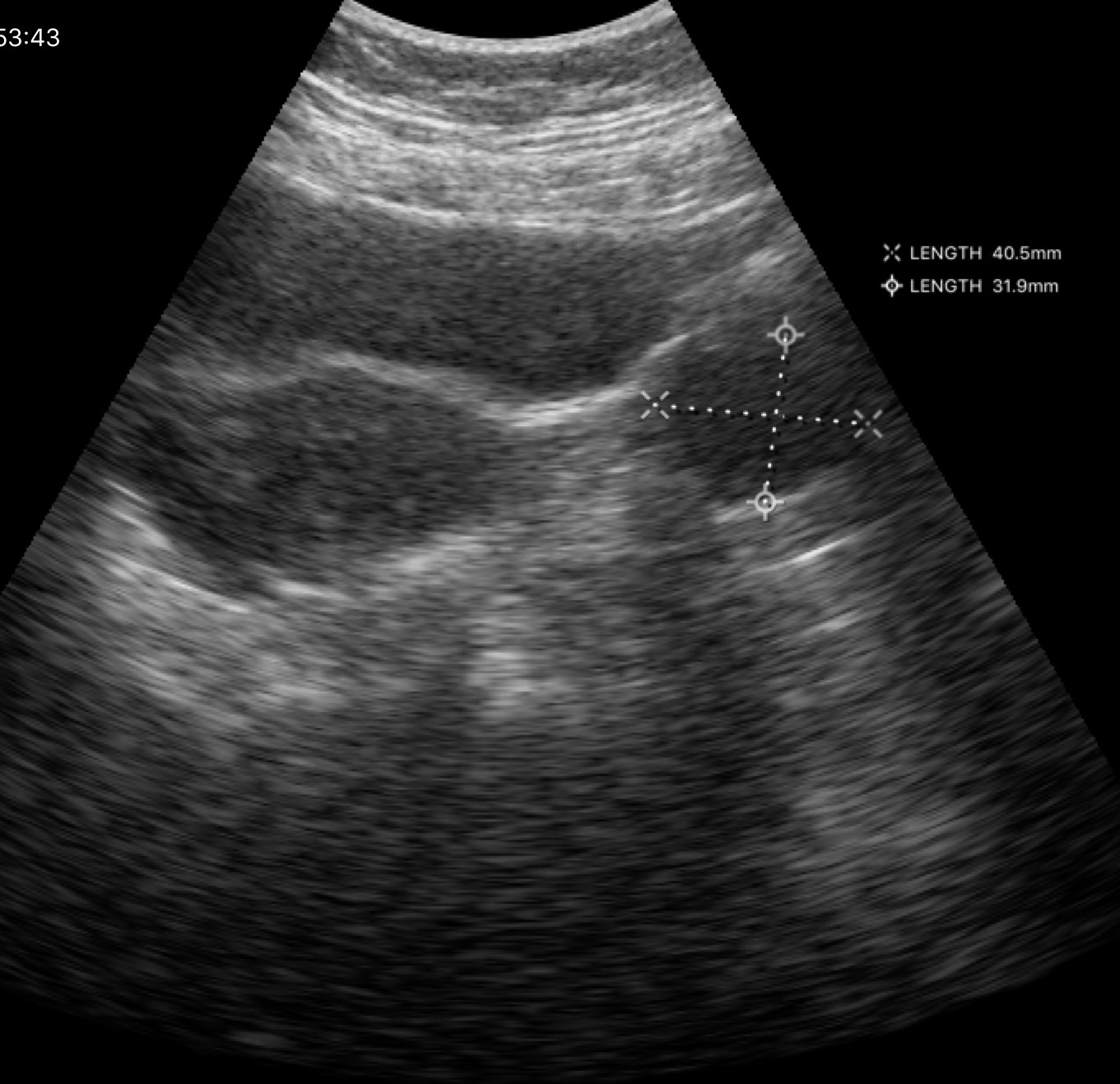
Q: What kind of scan is this?
A: Genitourinary ultrasound.